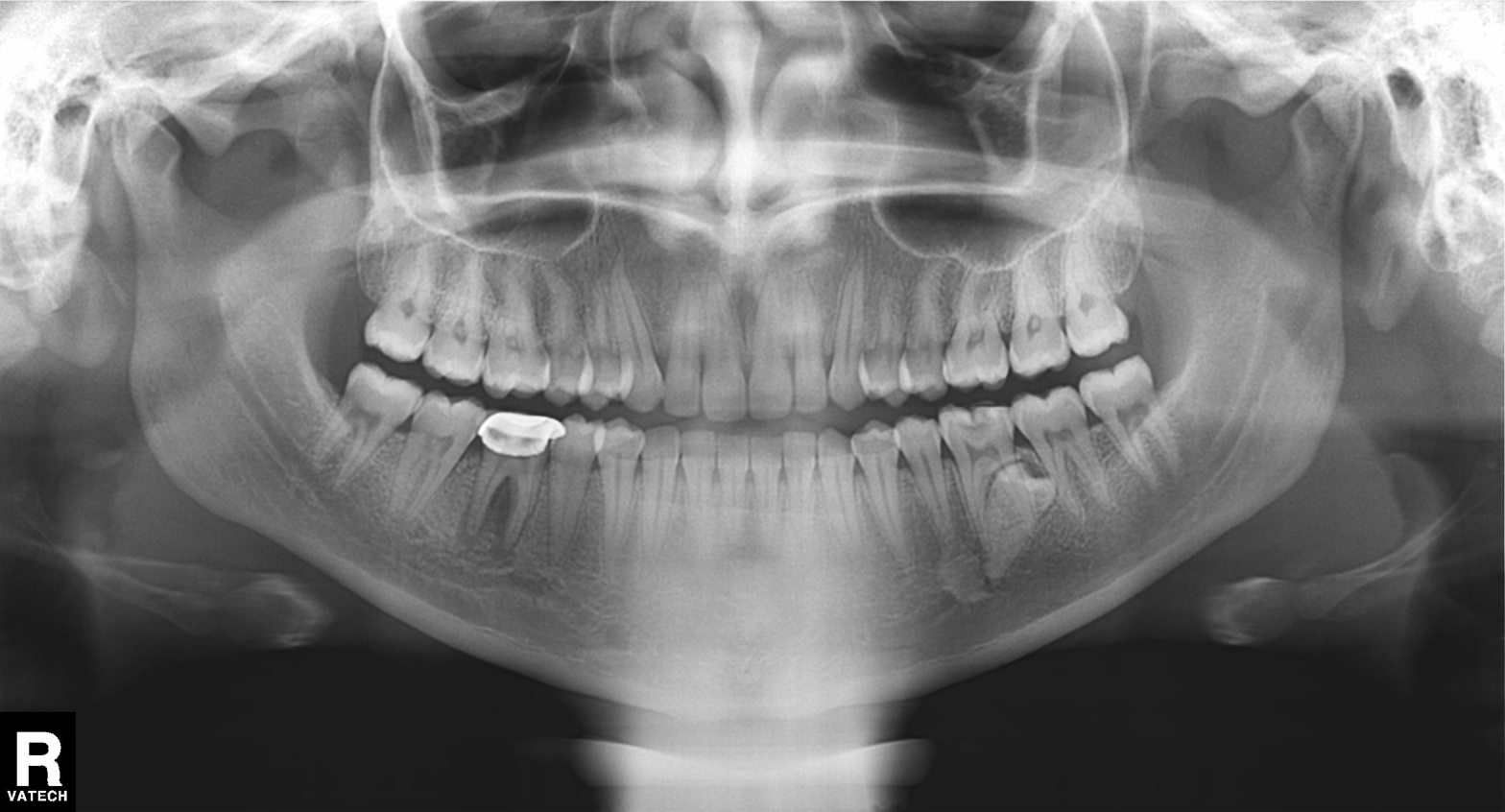
Summary: Panoramic dental radiograph (orthopantomogram).
Impression: Dental caries (cavities).